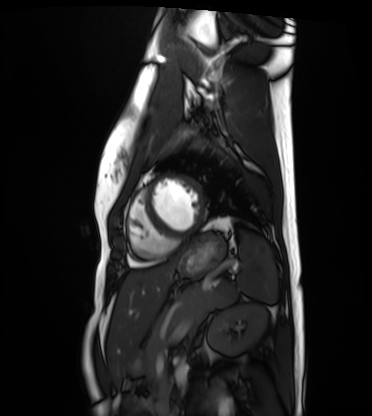
– modality — cardiac MRI
– subject group — healthy volunteer